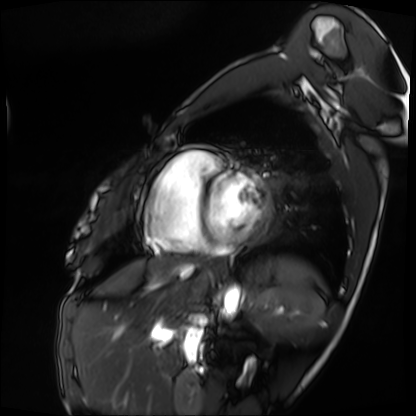
Clinical context:
Cardiac MRI. Subject group: patient.